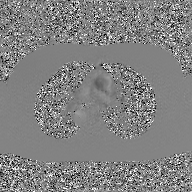
2D phase-contrast cine MRI of the ascending aorta, GAN super-resolution reconstruction.